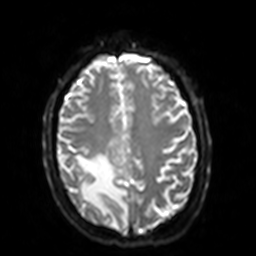
{"modality": {"type": "brain MRI", "field_strength": "3T"}, "series": "diffusion-weighted imaging with SENSE (WIP)", "study_topic": "ring-enhancing brain masses"}